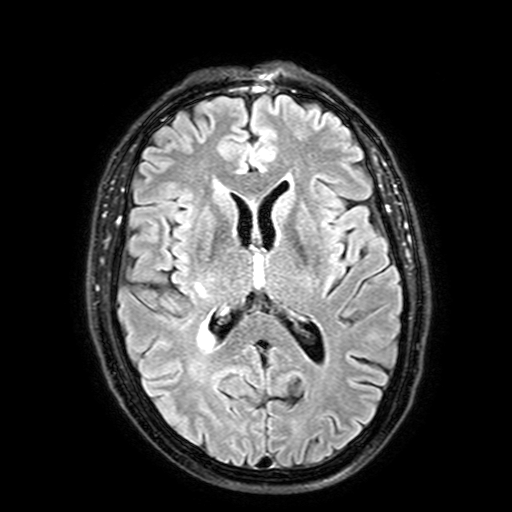
Clinical context: 3 Tesla brain MRI. Series: FLAIR with SPAIR, 3 mm. Study: ring-enhancing brain masses.